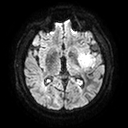
| field | value |
|---|---|
| modality | 3 Tesla brain MRI |
| series | diffusion tensor imaging (medium iso) |
| study | ring-enhancing brain masses |